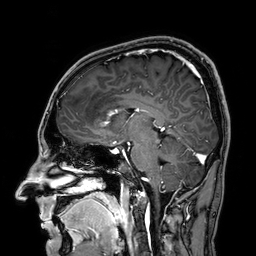
modality: 3 Tesla brain MRI | series: 3D T1-weighted | study: ring-enhancing brain masses.